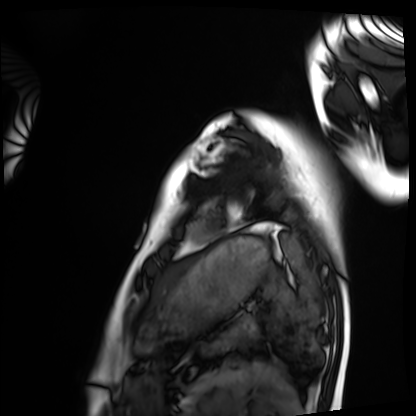
modality — cardiac MRI | subject group — healthy volunteer.